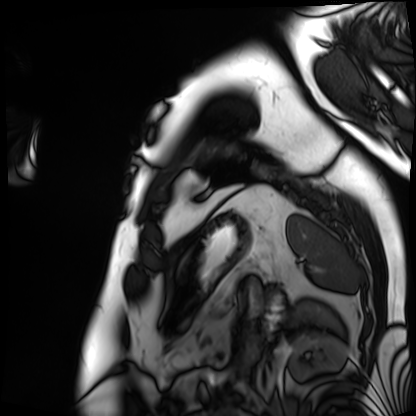
• modality · cardiac MRI
• subject group · patient